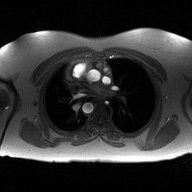
Case summary: 2D phase-contrast cine MRI of the ascending aorta, high-resolution GRAPPA acquisition.